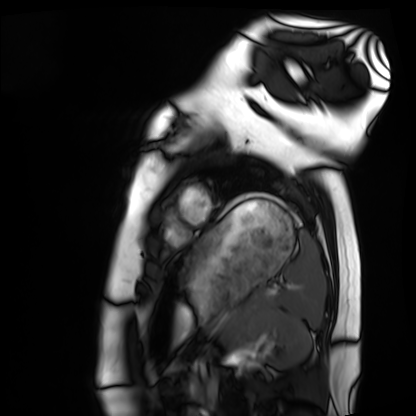
• modality · cardiac MRI
• subject group · healthy volunteer